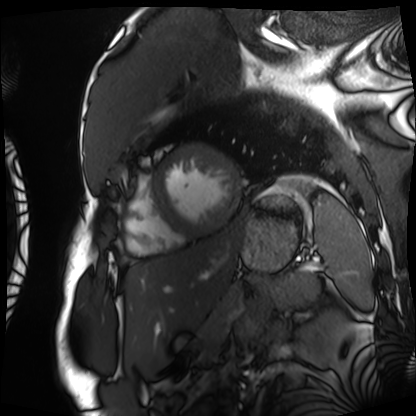
Case summary:
Cardiac MRI. Subject group: patient.